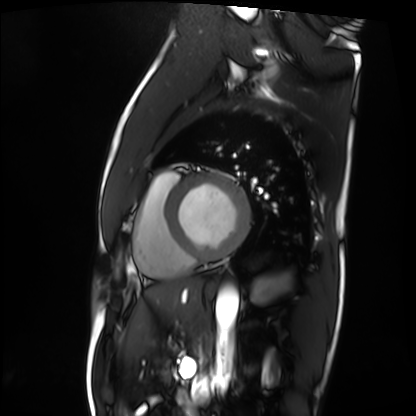
modality: cardiac MRI | subject group: patient.